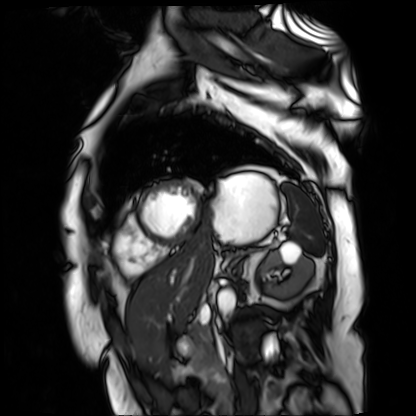
Summary: Cardiac MR image of the myocardium. Subject cohort: cardiac patient.